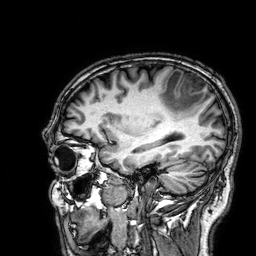
Case summary:
3 Tesla brain MRI. Series: 3D T1-weighted. Study: ring-enhancing brain masses.